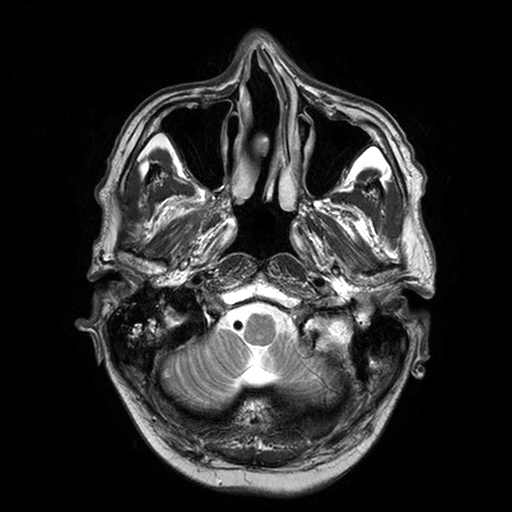
– modality · 3 Tesla brain MRI
– series · T2-weighted turbo spin echo with SENSE
– study · ring-enhancing brain masses